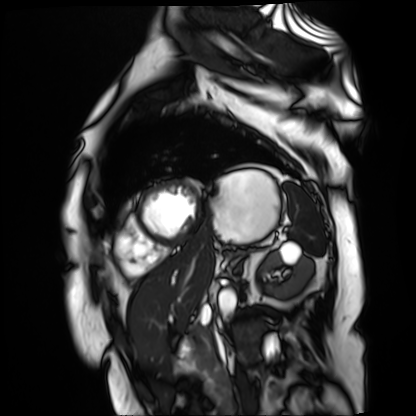
Summary:
Cardiac MR image of the myocardium. Subject cohort: cardiac patient.